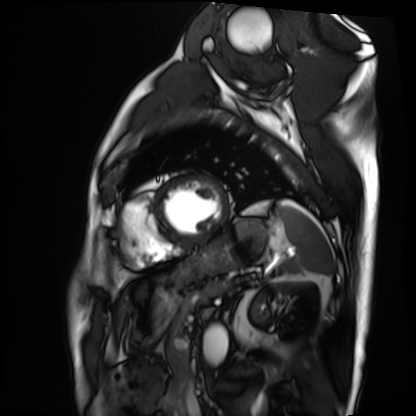
Cardiac MRI. Subject group: patient.